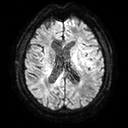
modality=3 Tesla brain MRI
series=diffusion tensor imaging (medium iso)
study=ring-enhancing brain masses